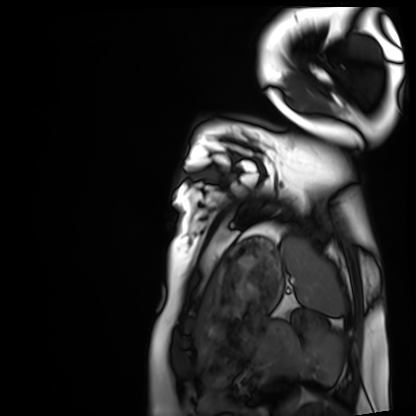
Clinical context: Cardiac MRI. Subject group: healthy volunteer.